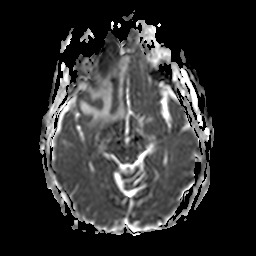
<scan>
<modality>
  <type>brain MRI</type>
  <field_strength>3T</field_strength>
</modality>
<series>apparent diffusion coefficient (ADC) map</series>
<study_topic>ring-enhancing brain masses</study_topic>
</scan>